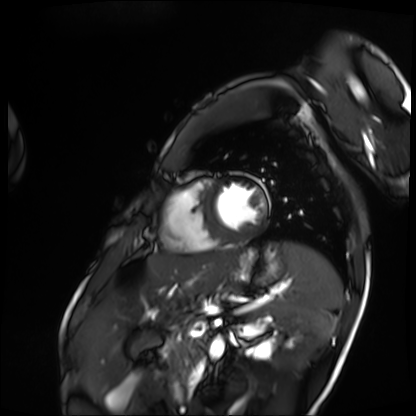
* modality: cardiac MRI
* subject group: patient